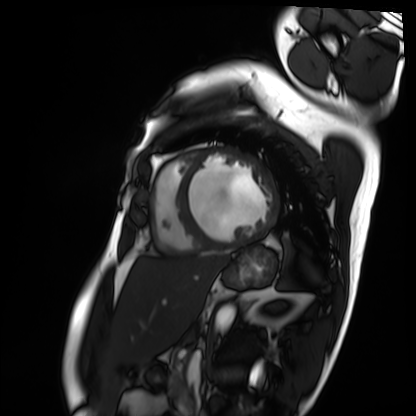
modality: cardiac MRI; subject group: patient.